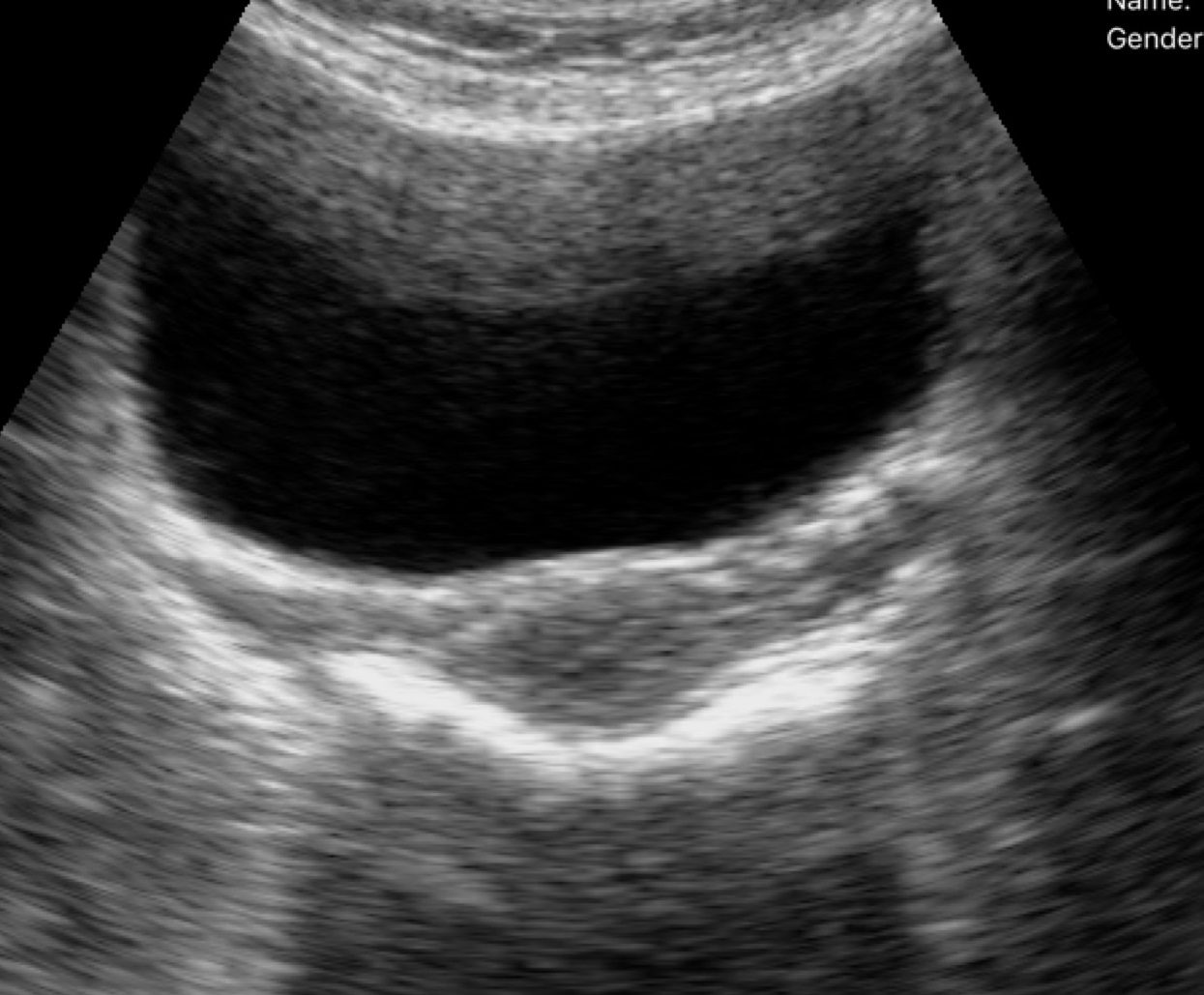
Case summary: Genitourinary ultrasound.